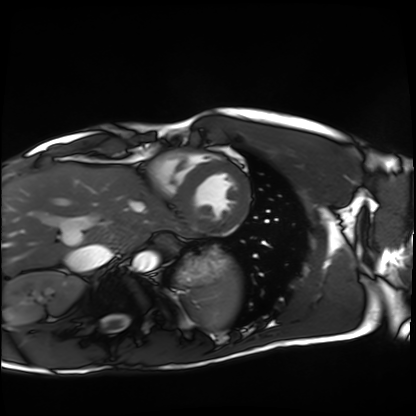
Cardiac MRI.
Subject group: healthy volunteer.